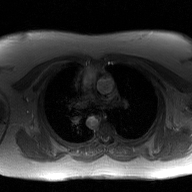
<record>
  <modality>
    <type>2D phase-contrast cine MRI</type>
    <region>ascending aorta</region>
    <reconstruction>GAN super-resolution reconstruction</reconstruction>
  </modality>
</record>